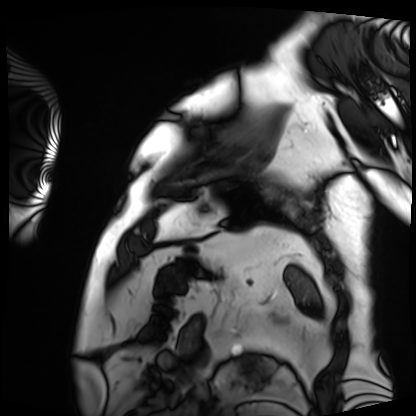
Summary: Cardiac MRI. Subject group: patient.